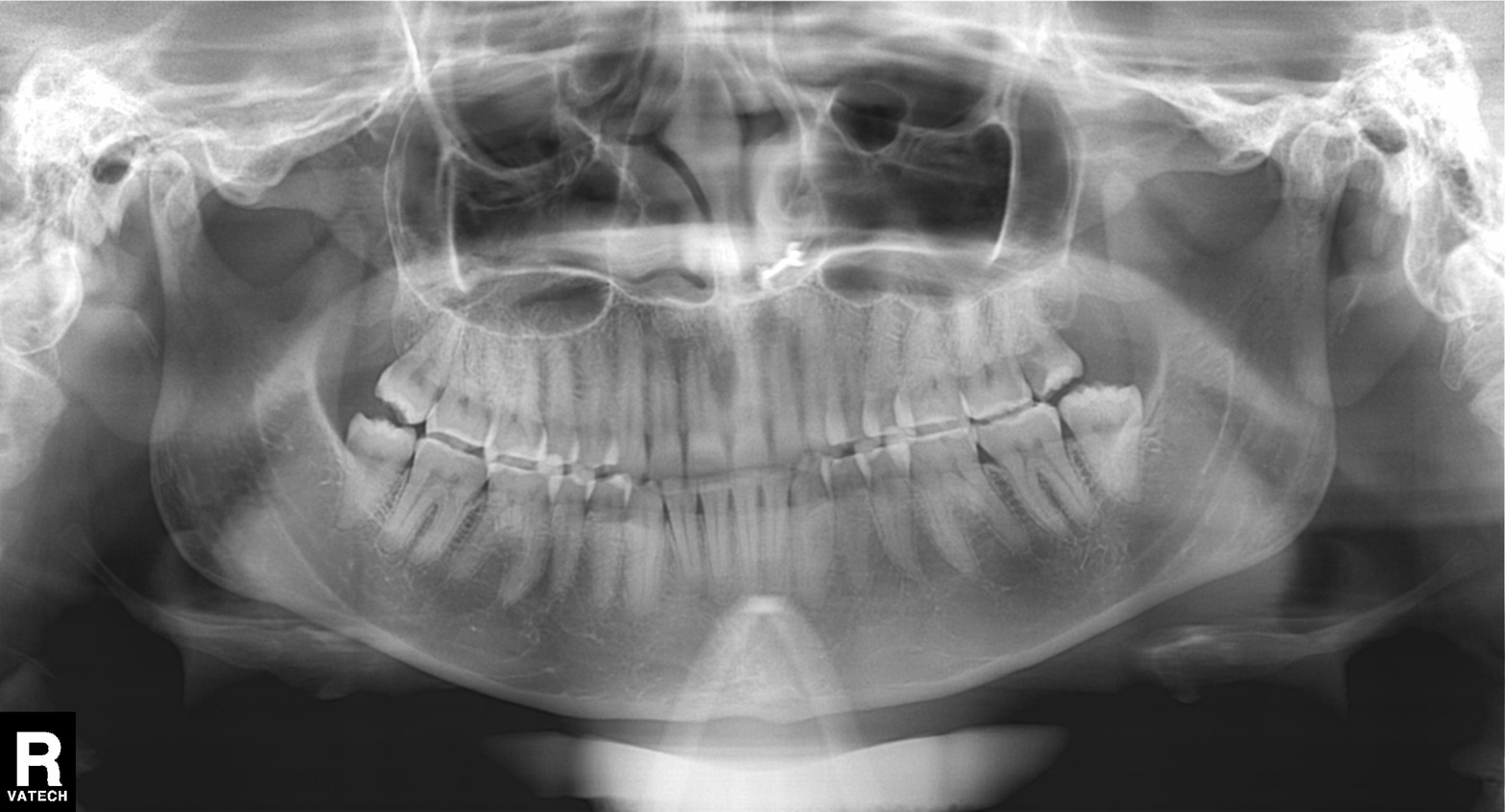
Clinical context: Panoramic dental radiograph (orthopantomogram).
Impression: Dental caries (cavities).